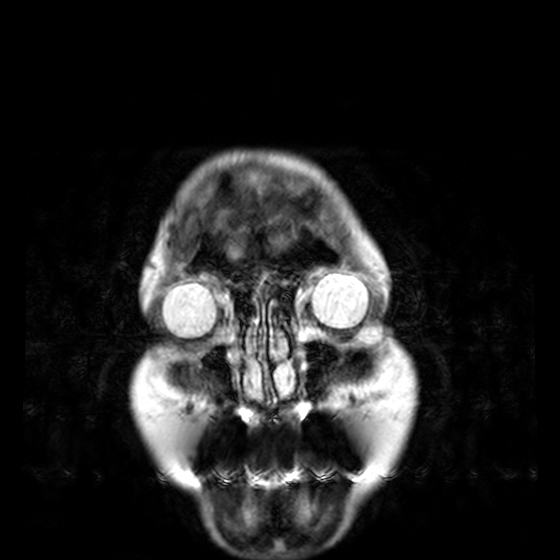
Summary: 3 Tesla brain MRI. Series: T2-weighted turbo spin echo, 3 mm. Study: ring-enhancing brain masses.